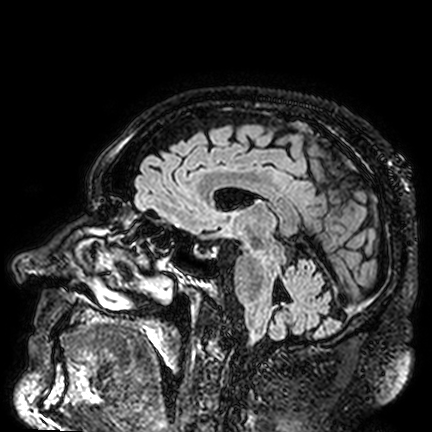
• modality: 3 Tesla brain MRI
• series: FLAIR VISTA
• study: ring-enhancing brain masses